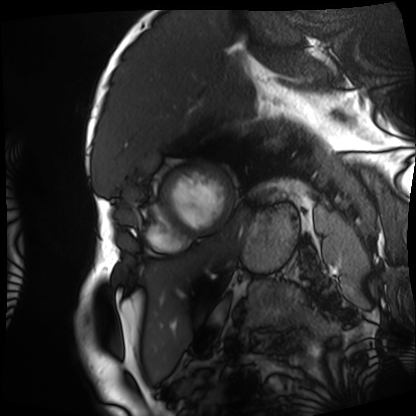
modality: cardiac MRI, subject group: patient.